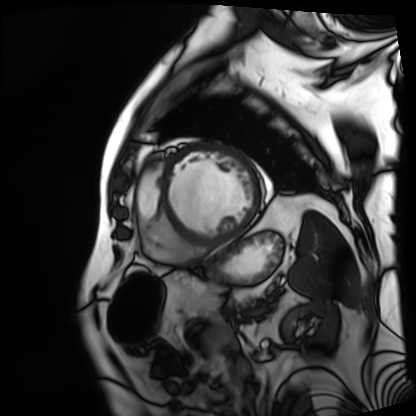
<record>
<modality>cardiac MRI</modality>
<cohort>patient</cohort>
</record>